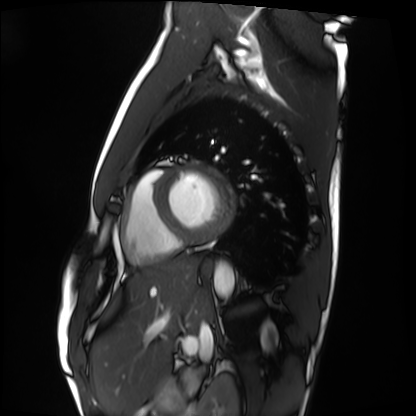
Cardiac MRI. Subject group: healthy volunteer.